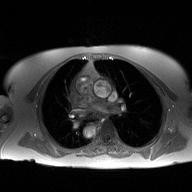
Summary: 2D phase-contrast cine MRI of the ascending aorta, high-resolution GRAPPA acquisition.